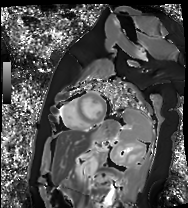
Q: What kind of scan is this?
A: Cardiac MR image of the myocardium.
Subject cohort: healthy volunteer.